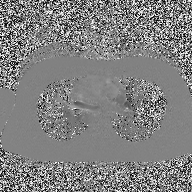
modality = 2D phase-contrast cine MRI of the ascending aorta